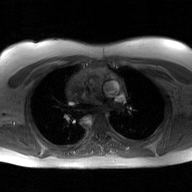
2D phase-contrast cine MRI of the ascending aorta, GAN super-resolution reconstruction.